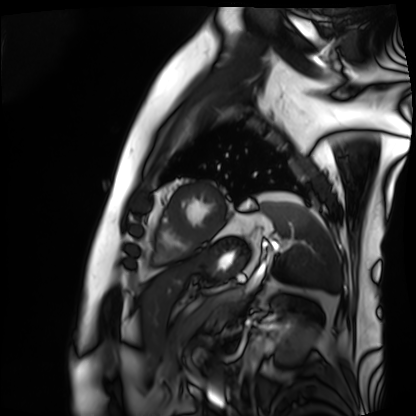
| field | value |
|---|---|
| modality | cardiac MRI |
| subject group | patient |